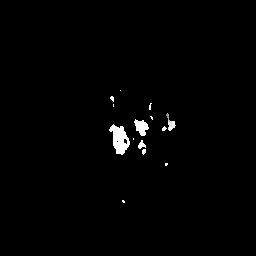
* modality — 3 Tesla brain MRI
* series — apparent diffusion coefficient (ADC) map
* study — ring-enhancing brain masses